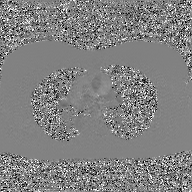
Summary: 2D phase-contrast cine MRI of the ascending aorta, GAN super-resolution reconstruction.